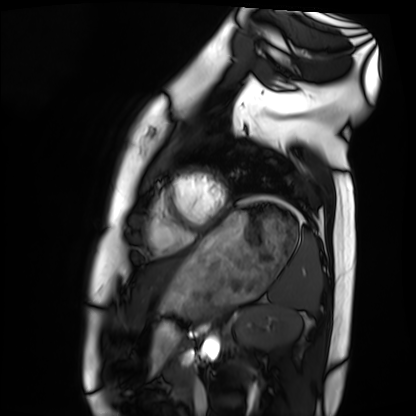
Cardiac MRI.
Subject group: healthy volunteer.